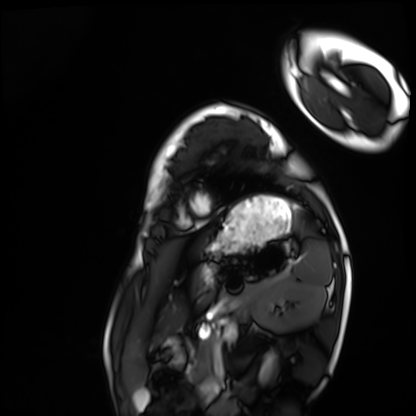
Cardiac MRI. Subject group: healthy volunteer.